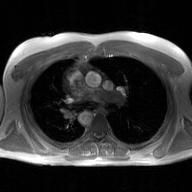
  modality:
    type: 2D phase-contrast cine MRI
    region: ascending aorta
    reconstruction: GAN super-resolution reconstruction